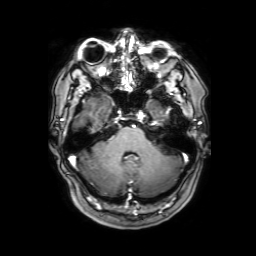
<study>
  <modality>
    <type>brain MRI</type>
    <field_strength>3T</field_strength>
  </modality>
  <series>3D T1-weighted with SENSE</series>
  <study_topic>ring-enhancing brain masses</study_topic>
</study>